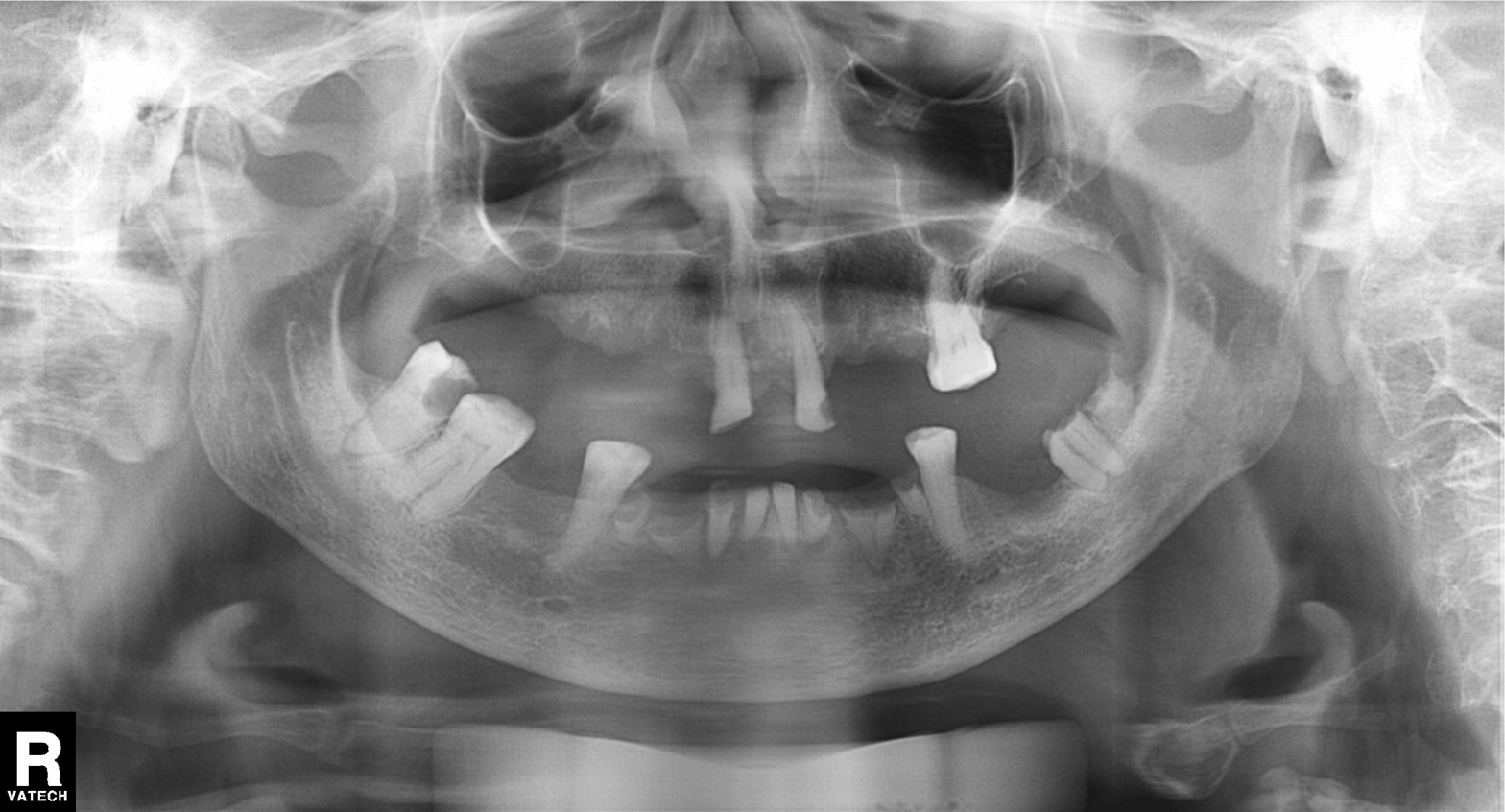
Summary:
Panoramic dental radiograph (orthopantomogram).
Assessment:
Alveolar bone loss.